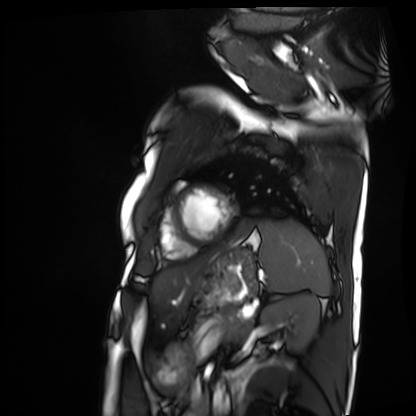
Summary:
Cardiac MRI. Subject group: patient.